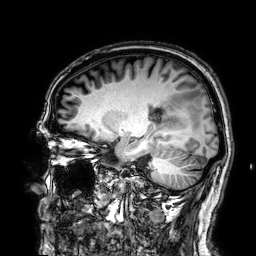
3 Tesla brain MRI. Series: 3D T1-weighted. Study: ring-enhancing brain masses.